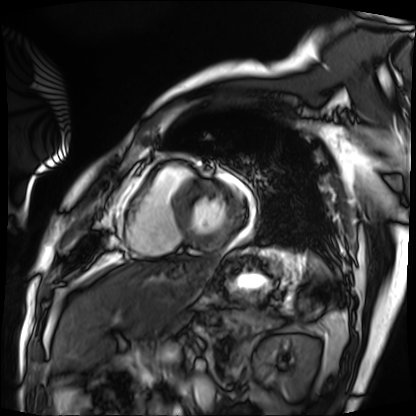
Cardiac MRI. Subject group: patient.